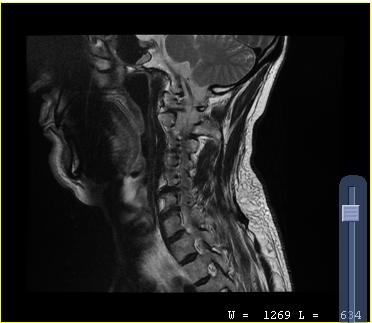
Clinical context:
MRI of the cervical spine. Study: cervical spondylosis.